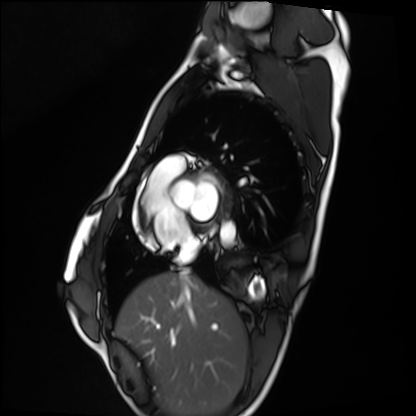
Cardiac MRI.
Subject group: healthy volunteer.